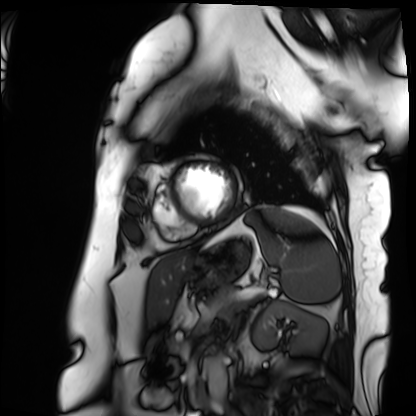
Summary: Cardiac MRI. Subject group: patient.